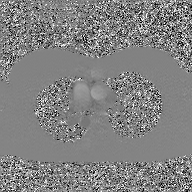
modality=2D phase-contrast cine MRI of the ascending aorta, GAN super-resolution reconstruction.